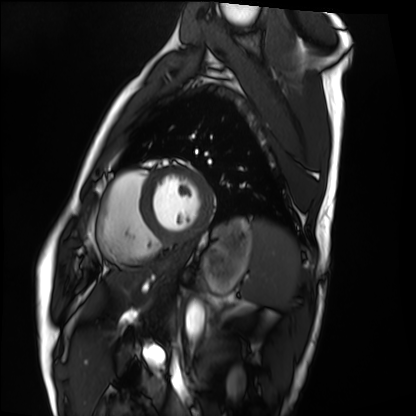
Summary: Cardiac MRI. Subject group: healthy volunteer.